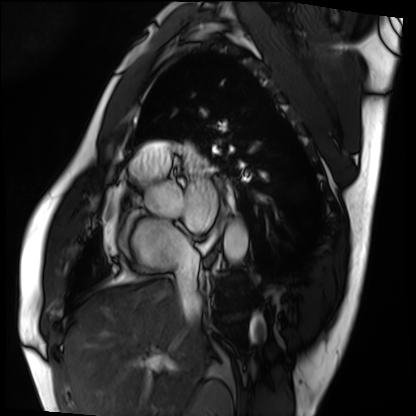
Summary:
Cardiac MRI. Subject group: patient.